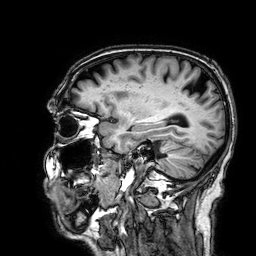
3 Tesla brain MRI.
Series: 3D T1-weighted.
Study: ring-enhancing brain masses.